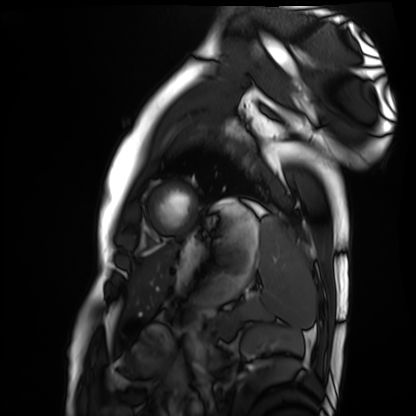
Summary:
Cardiac MRI. Subject group: healthy volunteer.